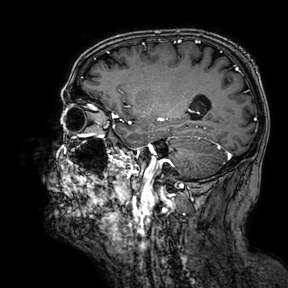
{
  "modality": {
    "type": "brain MRI",
    "field_strength": "3T"
  },
  "series": "3D T1-weighted turbo field echo with SENSE",
  "study_topic": "ring-enhancing brain masses"
}